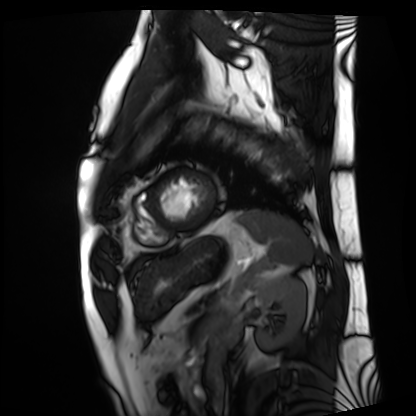
| field | value |
|---|---|
| modality | cardiac MRI |
| subject group | patient |